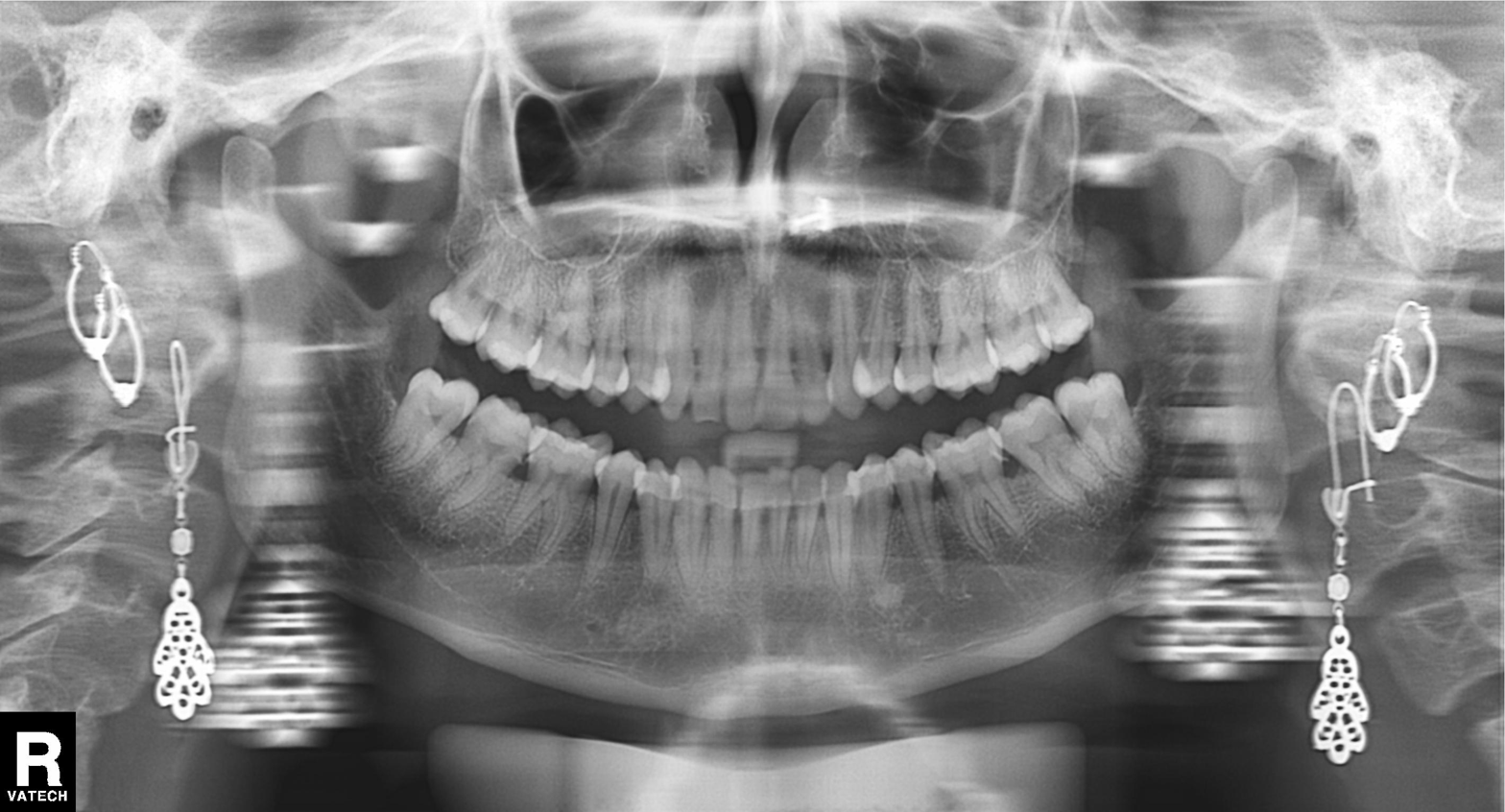
<case>
  <modality>panoramic dental radiograph (orthopantomogram)</modality>
  <finding>dental caries (cavities)</finding>
</case>